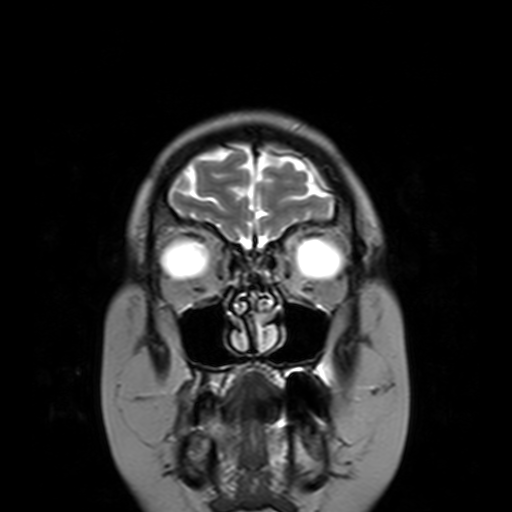
3 Tesla brain MRI. Series: T2-weighted turbo spin echo with SENSE. Study: ring-enhancing brain masses.